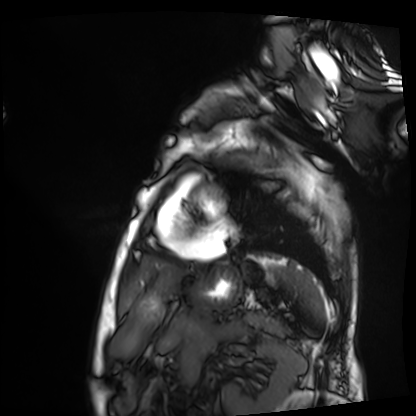
Q: What kind of scan is this?
A: Cardiac MRI.
Subject group: patient.